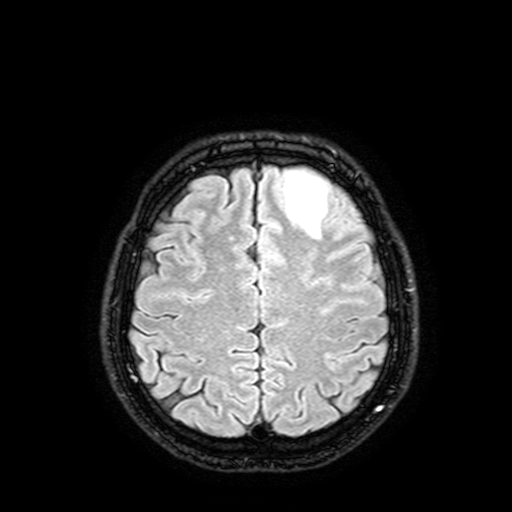
3 Tesla brain MRI.
Series: FLAIR with SPAIR, 3 mm.
Study: ring-enhancing brain masses.